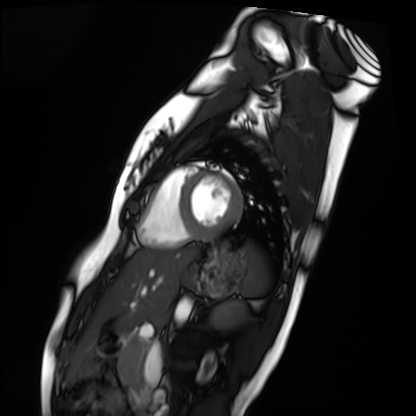
Case summary: Cardiac MRI. Subject group: healthy volunteer.